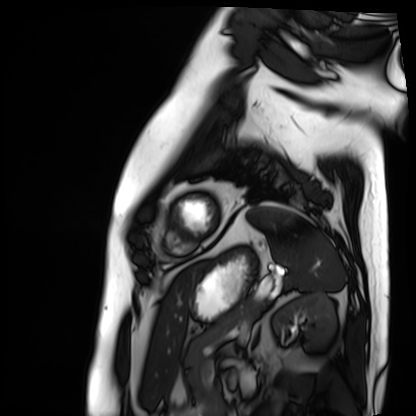
Cardiac MRI.
Subject group: patient.